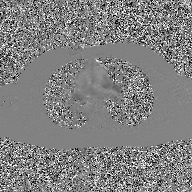
modality — 2D phase-contrast cine MRI of the ascending aorta, GAN super-resolution reconstruction.